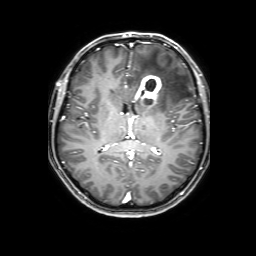
{"modality": {"type": "brain MRI", "field_strength": "3T"}, "series": "3D T1-weighted with SENSE", "study_topic": "ring-enhancing brain masses"}